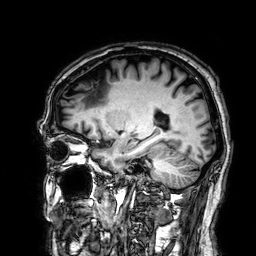
Q: What kind of scan is this?
A: 3 Tesla brain MRI.
Q: Series?
A: 3D T1-weighted.
Study: ring-enhancing brain masses.